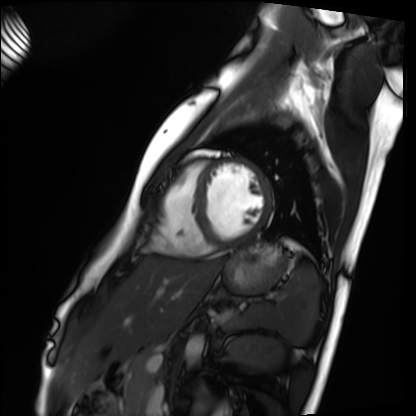
modality: cardiac MRI; subject group: healthy volunteer.